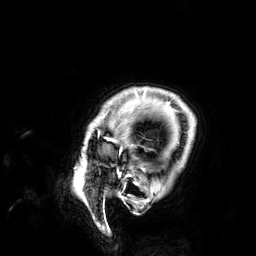
{"modality": {"type": "brain MRI", "field_strength": "3T"}, "series": "3D T1-weighted", "study_topic": "ring-enhancing brain masses"}